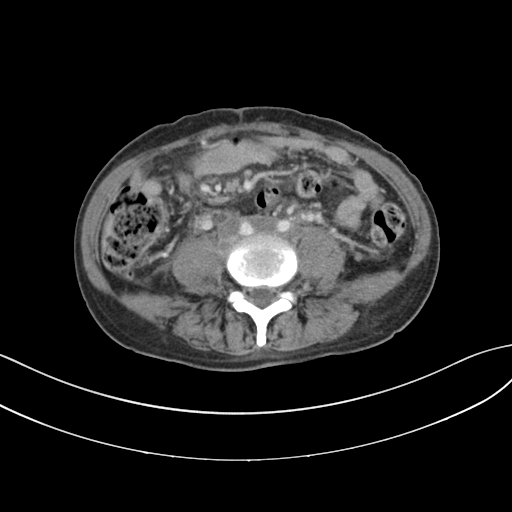
Q: What kind of scan is this?
A: Multiphase abdominal CT, liver, portal venous phase.
Q: Patient?
A: Female, age 59.